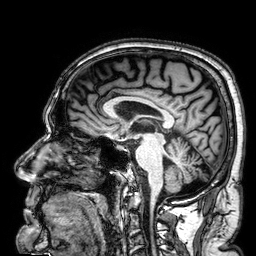
| field | value |
|---|---|
| modality | 3 Tesla brain MRI |
| series | 3D T1-weighted |
| study | ring-enhancing brain masses |